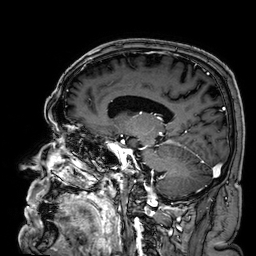
3 Tesla brain MRI.
Series: 3D T1-weighted.
Study: ring-enhancing brain masses.